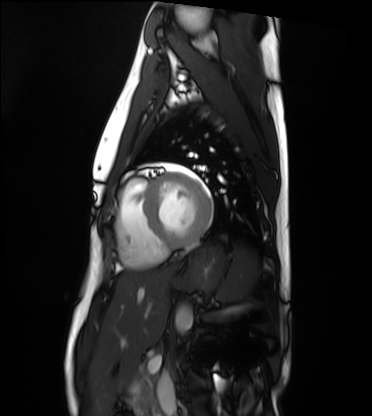
Q: What kind of scan is this?
A: Cardiac MRI.
Subject group: healthy volunteer.